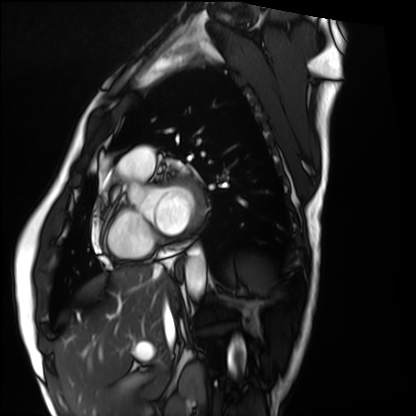
| field | value |
|---|---|
| modality | cardiac MRI |
| subject group | healthy volunteer |